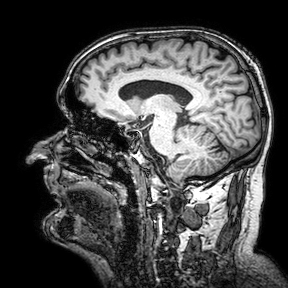
3 Tesla brain MRI.
Series: 3D T1-weighted turbo field echo with SENSE.
Study: ring-enhancing brain masses.